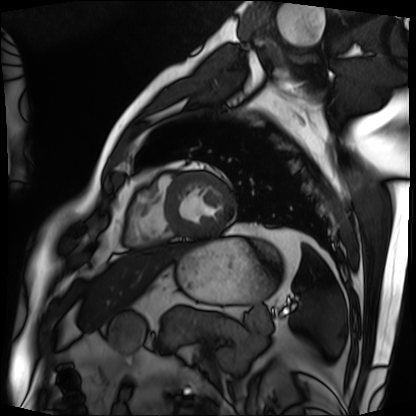
Case summary:
Cardiac MRI. Subject group: patient.